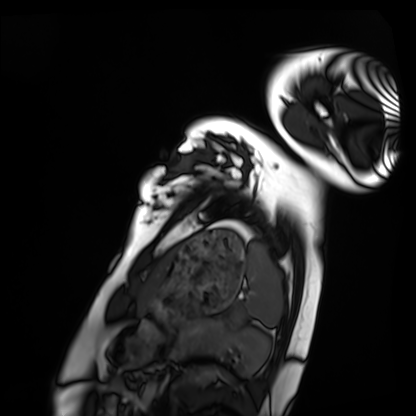
<record>
<modality>cardiac MRI</modality>
<cohort>healthy volunteer</cohort>
</record>